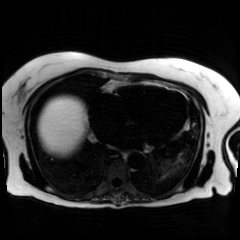
Chemical-shift-encoded cardiac MRI.